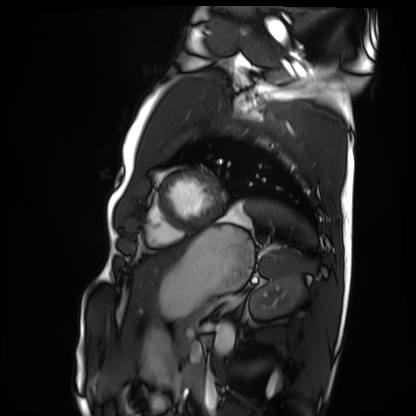
{
  "modality": "cardiac MRI",
  "cohort": "healthy volunteer"
}